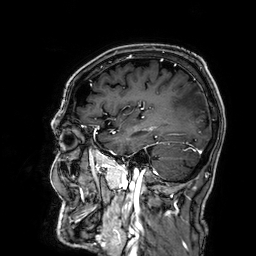
<scan>
<modality>
  <type>brain MRI</type>
  <field_strength>3T</field_strength>
</modality>
<series>3D T1-weighted</series>
<study_topic>ring-enhancing brain masses</study_topic>
</scan>